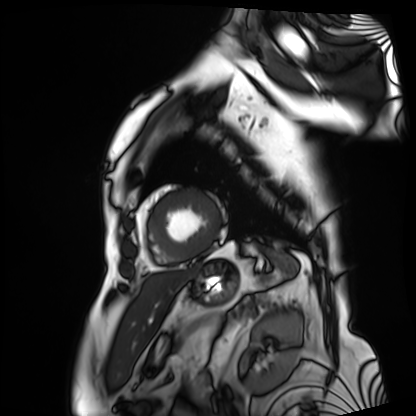
Q: What kind of scan is this?
A: Cardiac MRI.
Subject group: patient.